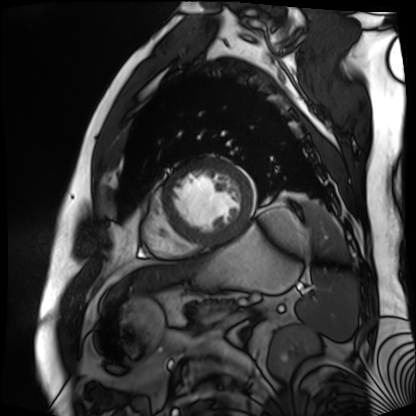
Cardiac MR image of the myocardium. Subject cohort: cardiac patient.